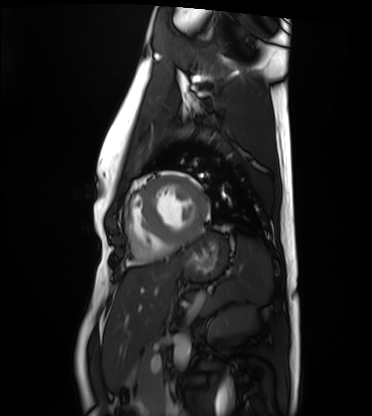
modality: cardiac MRI | subject group: healthy volunteer.